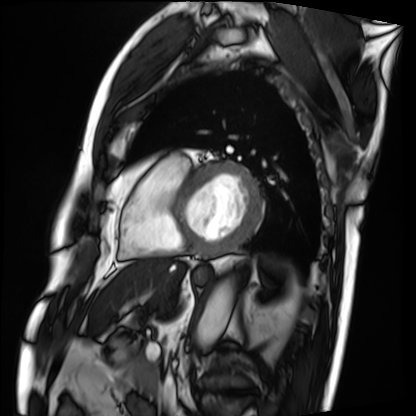
| field | value |
|---|---|
| modality | cardiac MRI |
| subject group | patient |